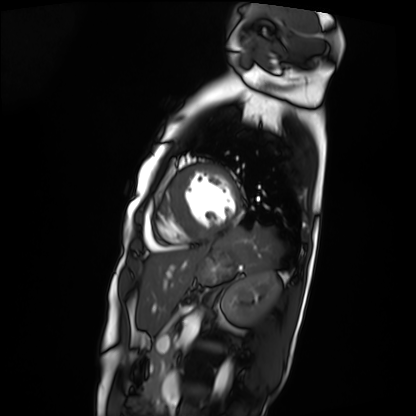
<study>
<modality>cardiac MRI</modality>
<cohort>patient</cohort>
</study>